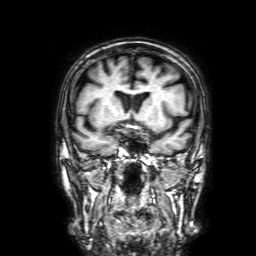
– modality: 3 Tesla brain MRI
– series: 3D T1-weighted with SENSE
– study: ring-enhancing brain masses